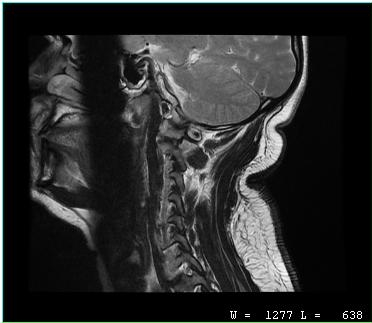
Clinical context:
MRI of the cervical spine. Study: cervical spondylosis.